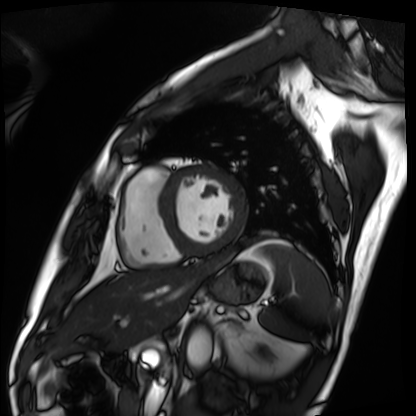
Cardiac MRI. Subject group: patient.